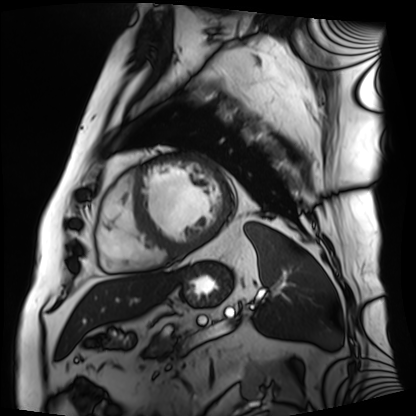
Cardiac MRI. Subject group: patient.